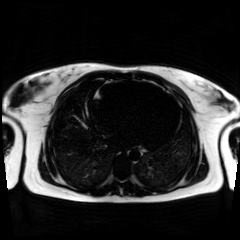
Q: What kind of scan is this?
A: Chemical-shift-encoded cardiac MRI.